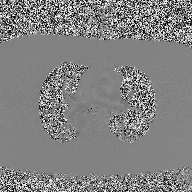
  modality:
    type: 2D phase-contrast cine MRI
    region: ascending aorta
    reconstruction: high-resolution GRAPPA acquisition